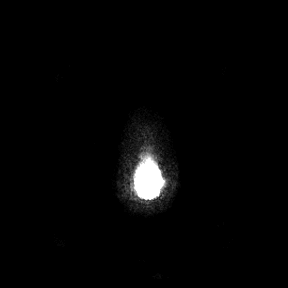
modality = 3 Tesla brain MRI; series = axial; study = ring-enhancing brain masses.